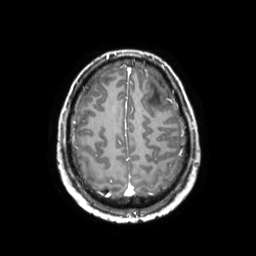
3 Tesla brain MRI. Series: 3D T1-weighted TFE with SENSE. Study: ring-enhancing brain masses.